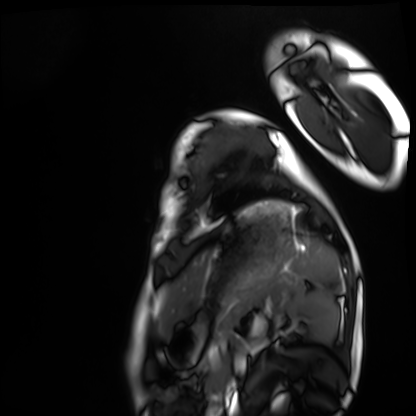
| field | value |
|---|---|
| modality | cardiac MRI |
| subject group | healthy volunteer |